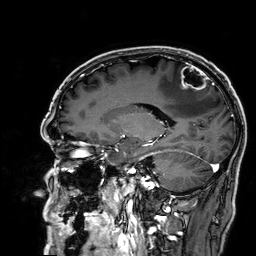
Case:
* modality: 3 Tesla brain MRI
* series: 3D T1-weighted
* study: ring-enhancing brain masses